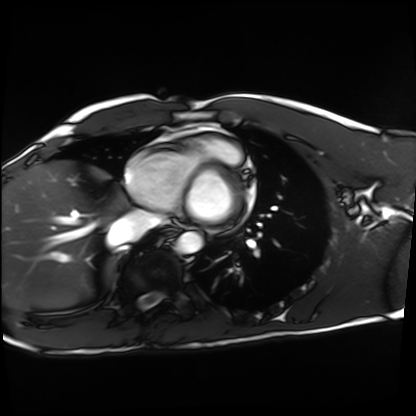
Clinical context: Cardiac MRI. Subject group: healthy volunteer.